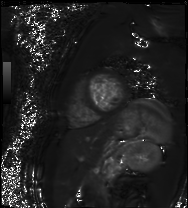
* modality · cardiac MR image of the myocardium
* subject cohort · healthy volunteer